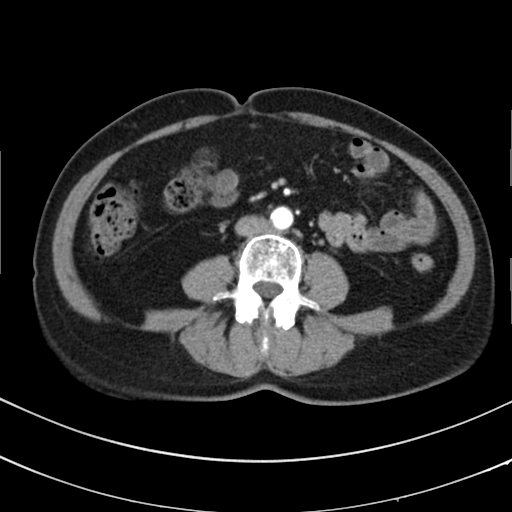
– modality — multiphase abdominal CT, liver, arterial phase
– patient — female, age 67